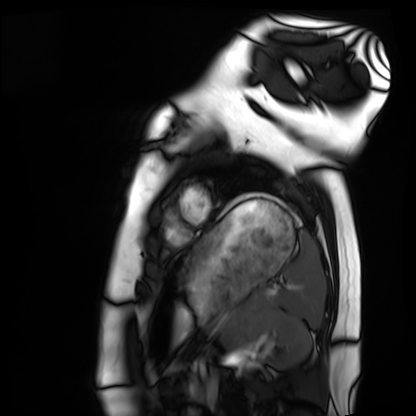
Summary:
Cardiac MRI. Subject group: healthy volunteer.